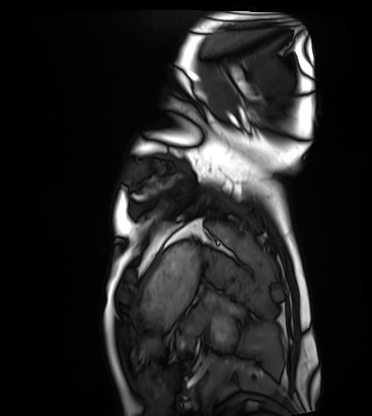
<record>
<modality>cardiac MRI</modality>
<cohort>healthy volunteer</cohort>
</record>